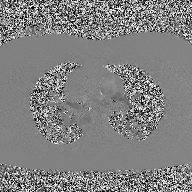
Clinical context: 2D phase-contrast cine MRI of the ascending aorta, high-resolution GRAPPA acquisition.